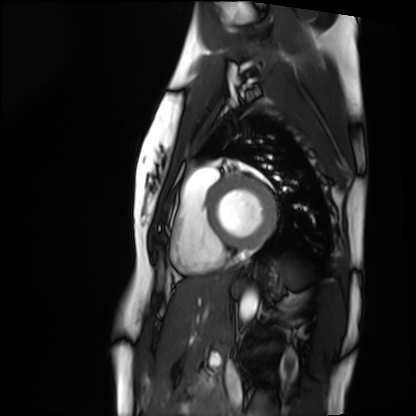
modality — cardiac MRI
subject group — healthy volunteer